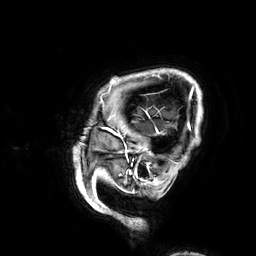
modality = 3 Tesla brain MRI | series = 3D T1-weighted | study = ring-enhancing brain masses.